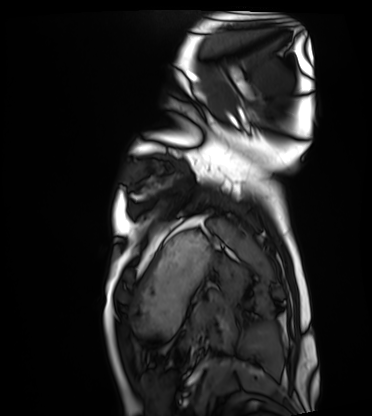
Summary:
Cardiac MRI. Subject group: healthy volunteer.